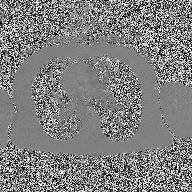
2D phase-contrast cine MRI of the ascending aorta, high-resolution GRAPPA acquisition.